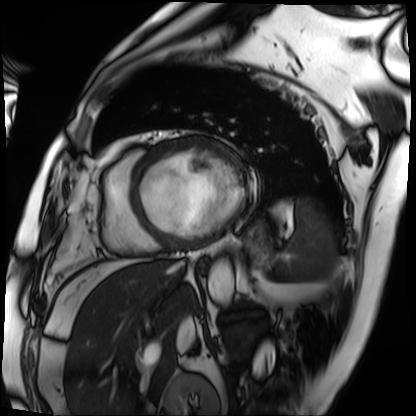
Cardiac MRI. Subject group: patient.